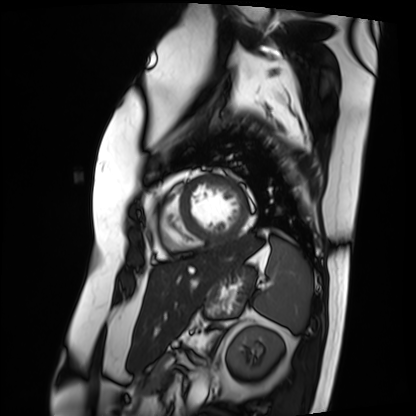
Cardiac MRI.
Subject group: patient.